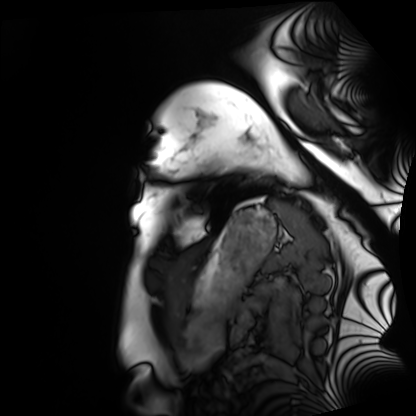
Clinical context: Cardiac MRI. Subject group: healthy volunteer.